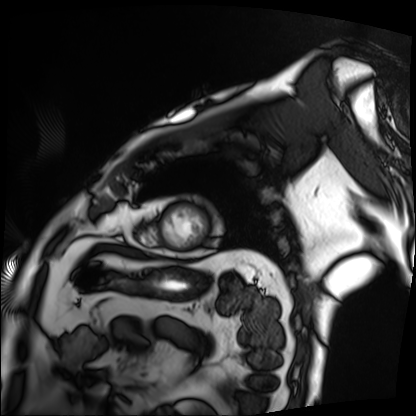
modality: cardiac MRI | subject group: patient.